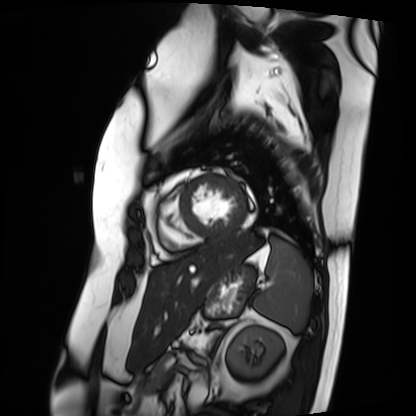
Q: What kind of scan is this?
A: Cardiac MRI.
Subject group: patient.